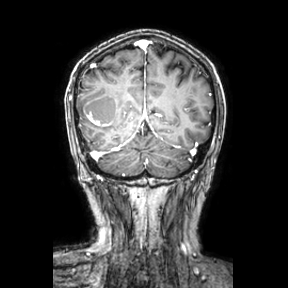
3 Tesla brain MRI. Series: coronal. Study: ring-enhancing brain masses.